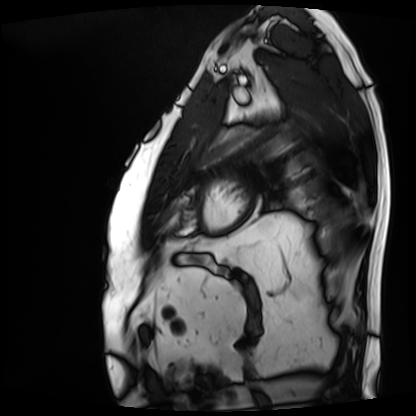
Summary: Cardiac MRI. Subject group: patient.